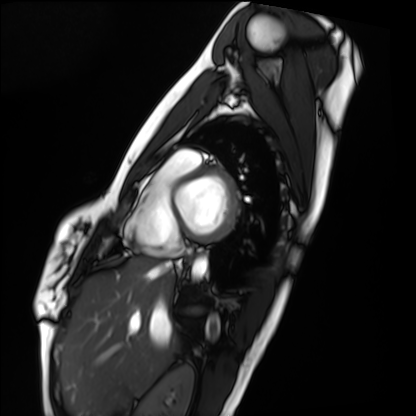
{
  "modality": "cardiac MRI",
  "cohort": "healthy volunteer"
}